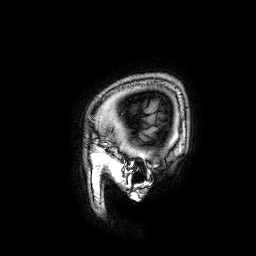
3 Tesla brain MRI.
Series: 3D T1-weighted.
Study: ring-enhancing brain masses.